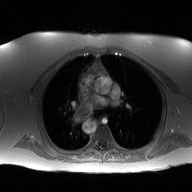
modality — 2D phase-contrast cine MRI of the ascending aorta.